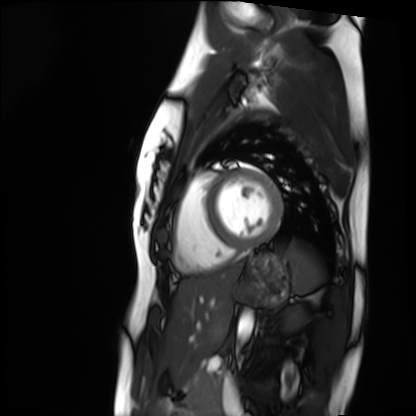
Cardiac MRI. Subject group: healthy volunteer.